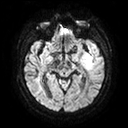
3 Tesla brain MRI. Series: diffusion tensor imaging (medium iso). Study: ring-enhancing brain masses.